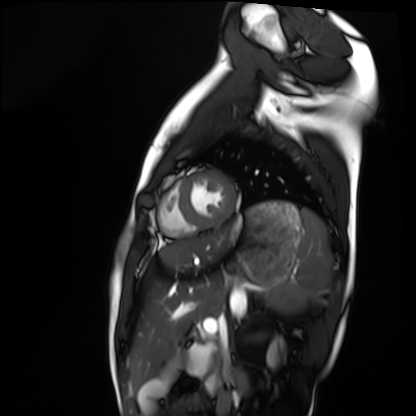
– modality — cardiac MRI
– subject group — healthy volunteer